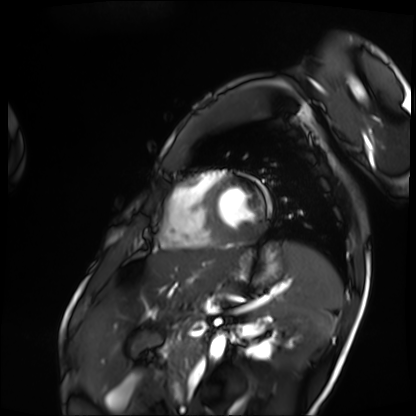
Q: What kind of scan is this?
A: Cardiac MRI.
Subject group: patient.